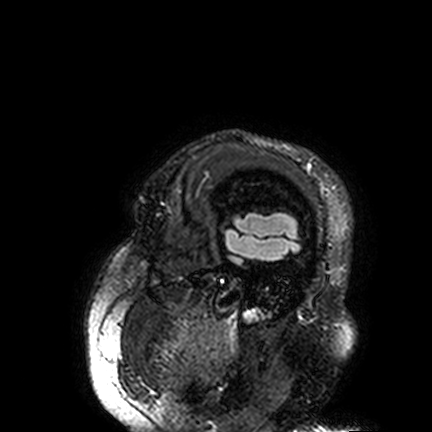
3 Tesla brain MRI. Series: FLAIR VISTA. Study: ring-enhancing brain masses.